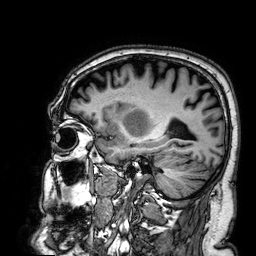
Q: What kind of scan is this?
A: 3 Tesla brain MRI.
Q: Series?
A: 3D T1-weighted.
Study: ring-enhancing brain masses.